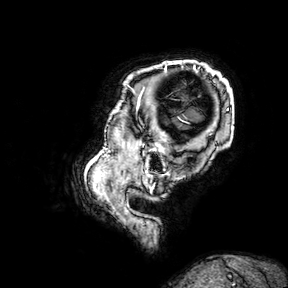
3 Tesla brain MRI. Series: 3D T1-weighted turbo field echo with SENSE. Study: ring-enhancing brain masses.